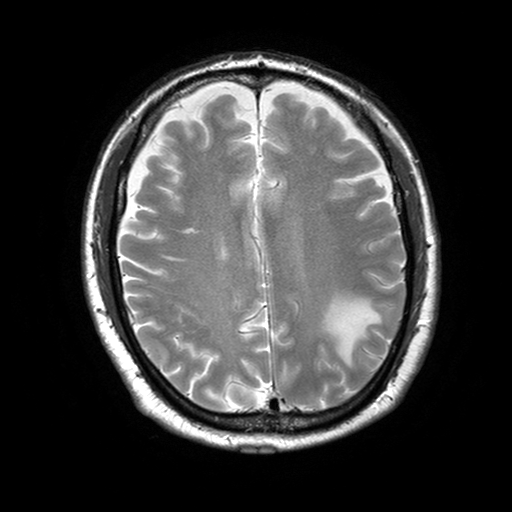
3 Tesla brain MRI. Series: T2-weighted turbo spin echo with SENSE. Study: ring-enhancing brain masses.